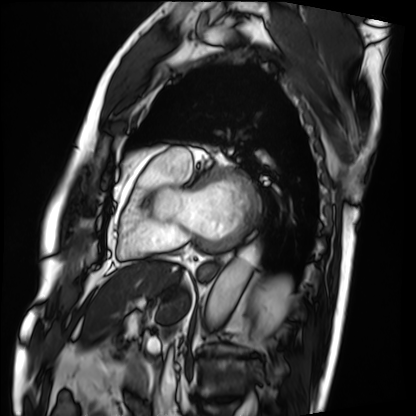
Cardiac MRI. Subject group: patient.